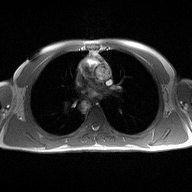
modality:
  type: 2D phase-contrast cine MRI
  region: ascending aorta
  reconstruction: high-resolution GRAPPA acquisition